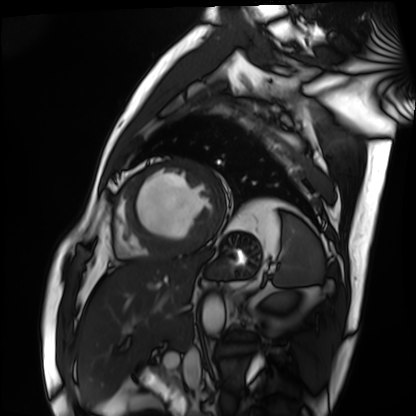
– modality: cardiac MRI
– subject group: patient